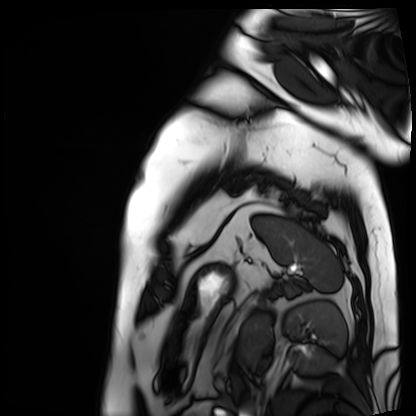
Cardiac MRI.
Subject group: patient.